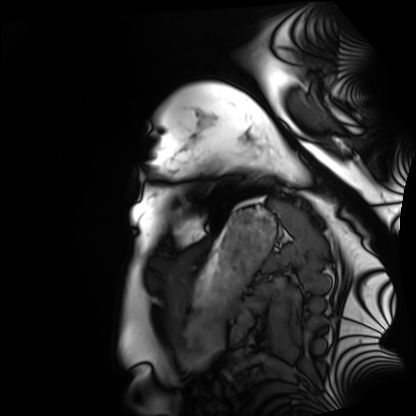
* modality · cardiac MRI
* subject group · healthy volunteer